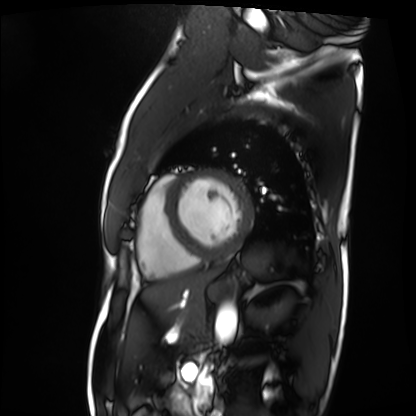
Cardiac MRI. Subject group: patient.